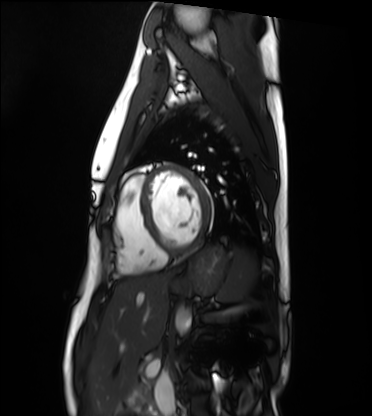
Clinical context:
Cardiac MRI. Subject group: healthy volunteer.